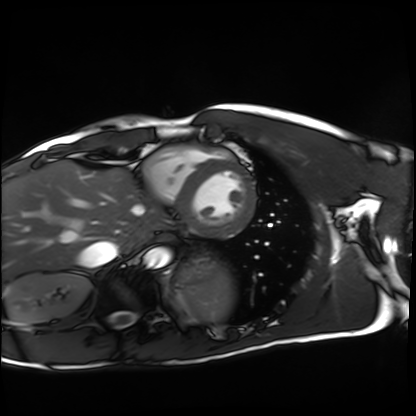
Q: What kind of scan is this?
A: Cardiac MRI.
Subject group: healthy volunteer.